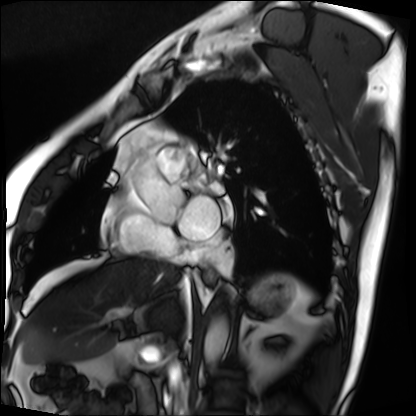
Summary:
Cardiac MRI. Subject group: patient.